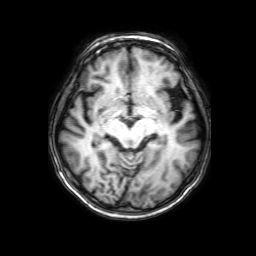
3 Tesla brain MRI. Series: 3D T1-weighted with SENSE. Study: ring-enhancing brain masses.